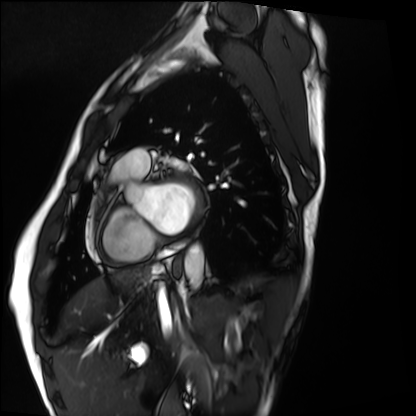
modality: cardiac MRI, subject group: healthy volunteer.